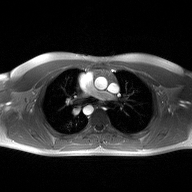
Clinical context:
2D phase-contrast cine MRI of the ascending aorta, high-resolution GRAPPA acquisition.